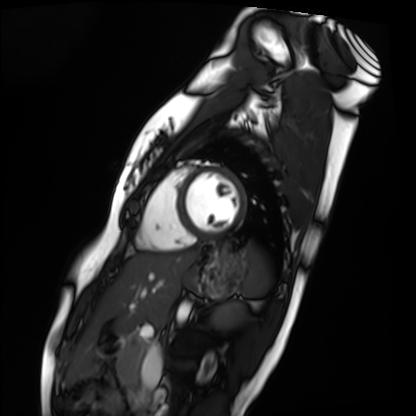
Cardiac MRI. Subject group: healthy volunteer.